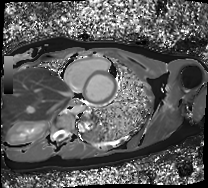
Q: What kind of scan is this?
A: Cardiac MRI.
Subject group: healthy volunteer.